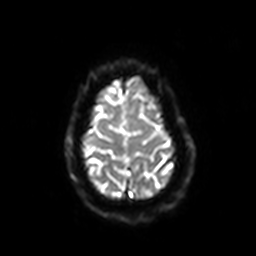
3 Tesla brain MRI.
Series: diffusion-weighted imaging with SENSE (WIP).
Study: ring-enhancing brain masses.